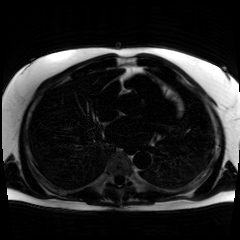
modality = chemical-shift-encoded cardiac MRI.